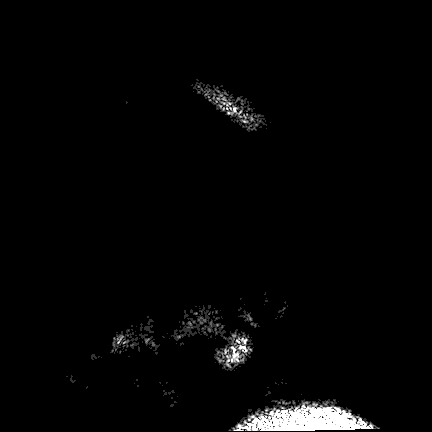
Clinical context: 3 Tesla brain MRI. Series: FLAIR VISTA. Study: ring-enhancing brain masses.